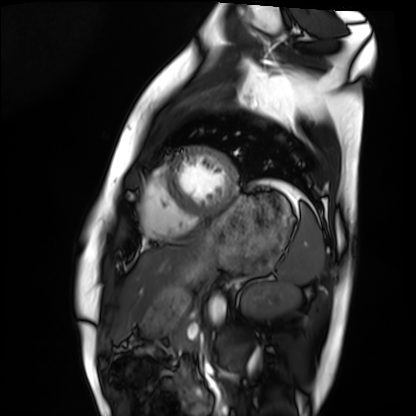
modality — cardiac MRI | subject group — healthy volunteer.